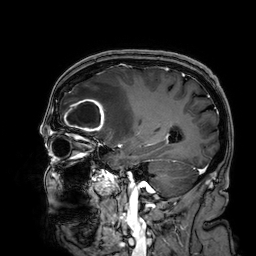
{"modality": {"type": "brain MRI", "field_strength": "3T"}, "series": "3D T1-weighted", "study_topic": "ring-enhancing brain masses"}